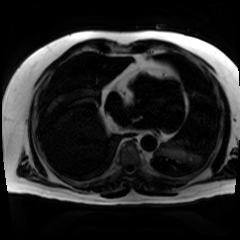
Summary:
Chemical-shift-encoded cardiac MRI.